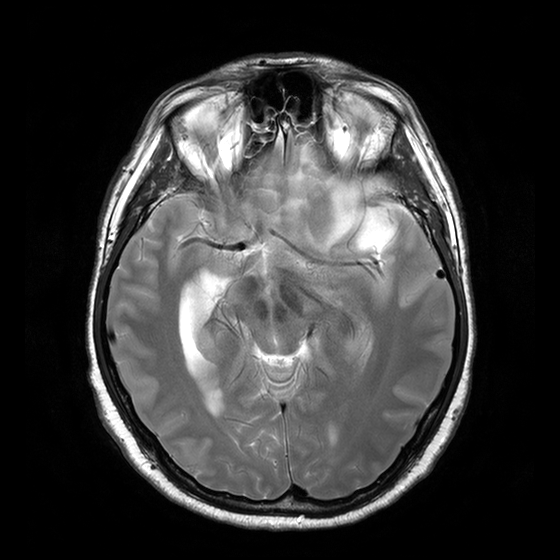
Clinical context: 3 Tesla brain MRI. Series: T2-weighted turbo spin echo with CLEAR. Study: ring-enhancing brain masses.